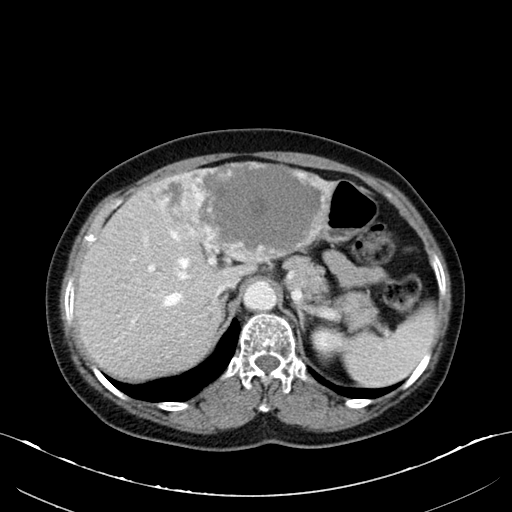
modality: multiphase abdominal CT, liver, portal venous phase | patient: female, age 64.